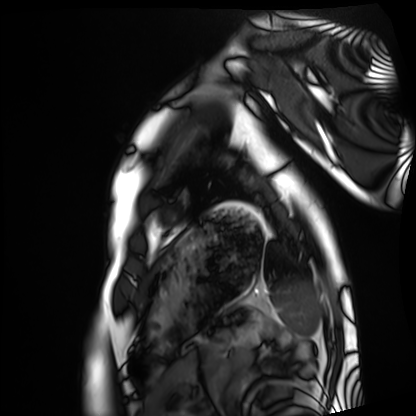
Cardiac MRI. Subject group: healthy volunteer.